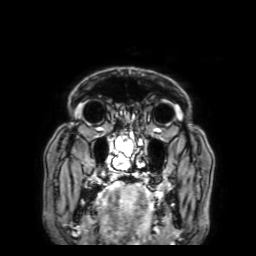
3 Tesla brain MRI. Series: 3D T1-weighted with SENSE. Study: ring-enhancing brain masses.